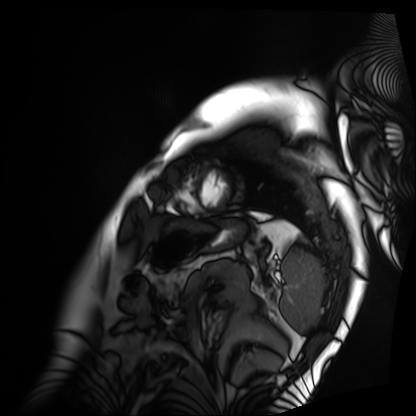
Cardiac MRI. Subject group: patient.